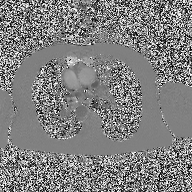
2D phase-contrast cine MRI of the ascending aorta, high-resolution GRAPPA acquisition.